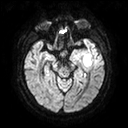
3 Tesla brain MRI.
Series: diffusion tensor imaging (medium iso).
Study: ring-enhancing brain masses.